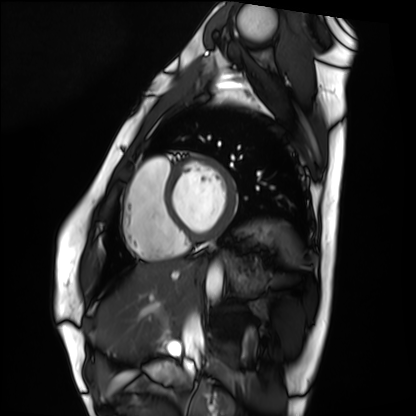
Cardiac MRI.
Subject group: healthy volunteer.